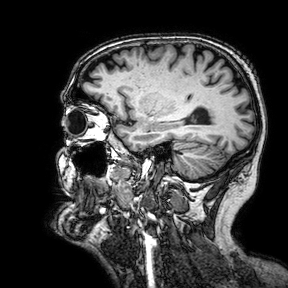
– modality · 3 Tesla brain MRI
– series · 3D T1-weighted turbo field echo with SENSE
– study · ring-enhancing brain masses